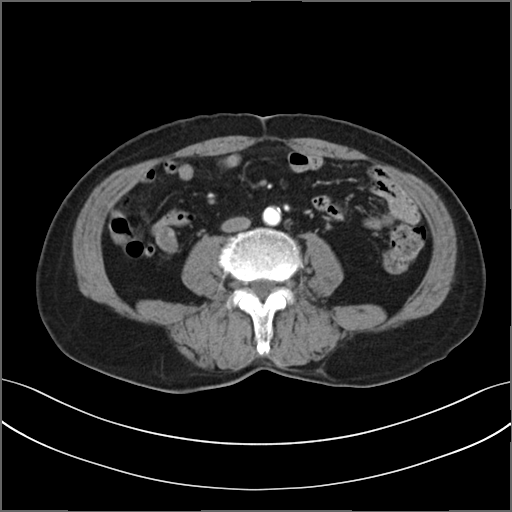
Multiphase abdominal CT, liver, arterial phase.
Patient: male, age 72.